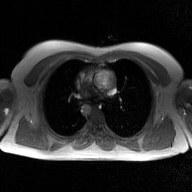
| field | value |
|---|---|
| modality | 2D phase-contrast cine MRI of the ascending aorta, GAN super-resolution reconstruction |